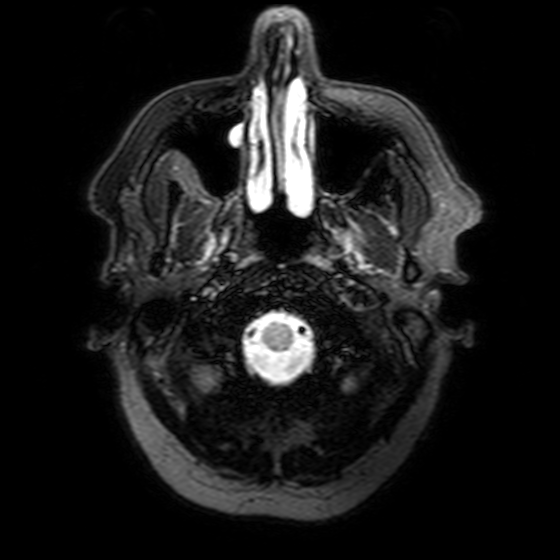
- modality · 3 Tesla brain MRI
- series · T2-weighted FLAIR
- study · ring-enhancing brain masses